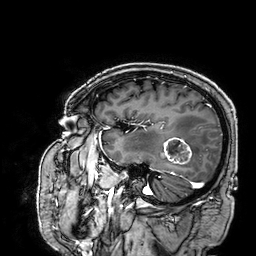
3 Tesla brain MRI. Series: 3D T1-weighted. Study: ring-enhancing brain masses.